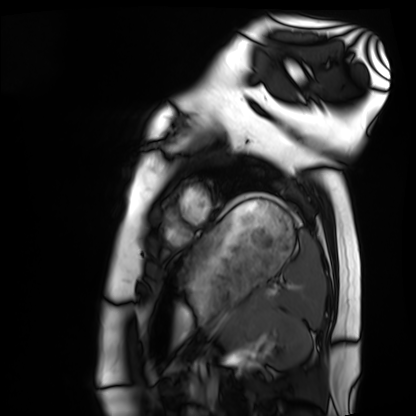
Cardiac MRI. Subject group: healthy volunteer.